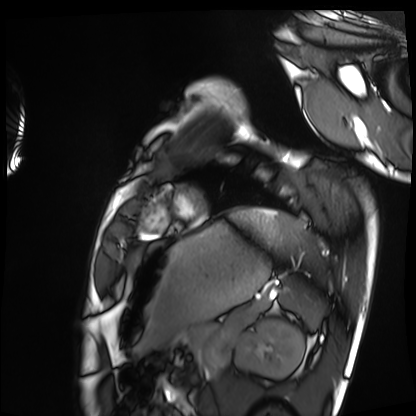
Case summary:
Cardiac MRI. Subject group: healthy volunteer.